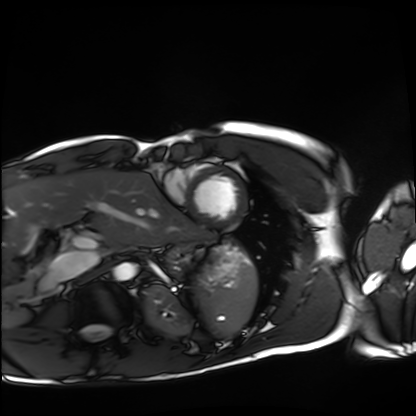
modality: cardiac MRI | subject group: healthy volunteer.